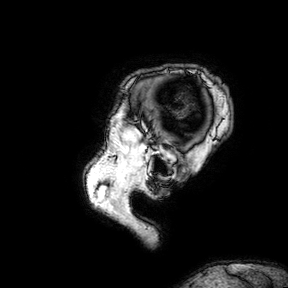
3 Tesla brain MRI.
Series: 3D T1-weighted turbo field echo with SENSE.
Study: ring-enhancing brain masses.